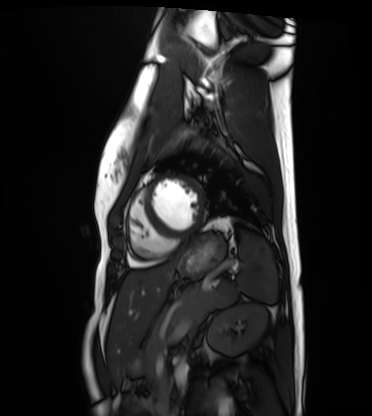
• modality — cardiac MRI
• subject group — healthy volunteer